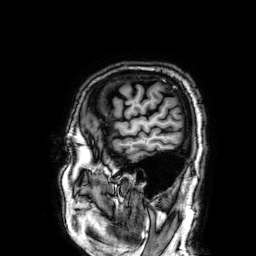
Summary: 3 Tesla brain MRI. Series: 3D T1-weighted. Study: ring-enhancing brain masses.